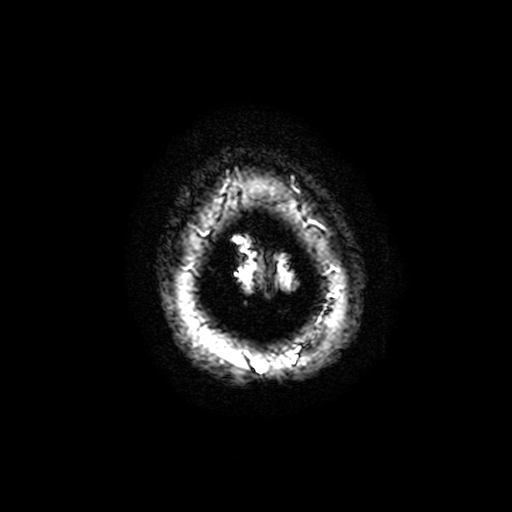
| field | value |
|---|---|
| modality | 3 Tesla brain MRI |
| series | T2-weighted fast field echo with SENSE |
| study | ring-enhancing brain masses |